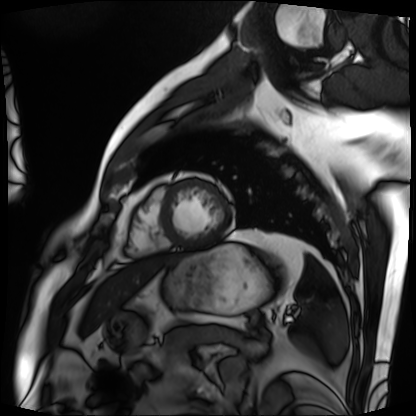
Case summary: Cardiac MRI. Subject group: patient.